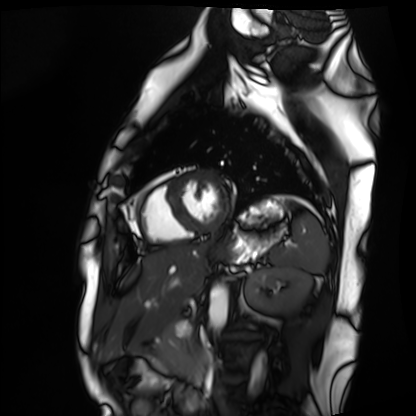
Cardiac MRI. Subject group: healthy volunteer.